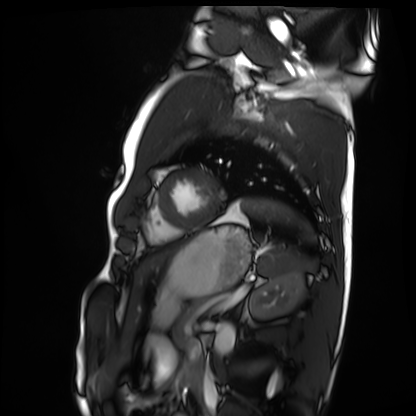
| field | value |
|---|---|
| modality | cardiac MRI |
| subject group | healthy volunteer |